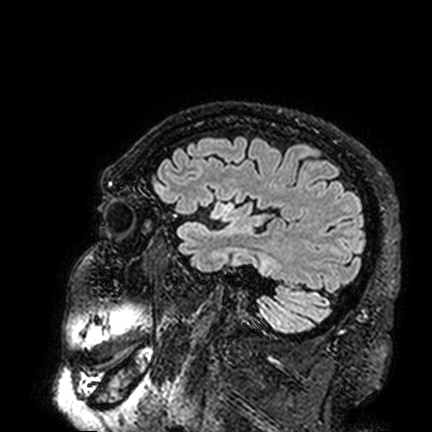
modality = 3 Tesla brain MRI; series = FLAIR VISTA; study = ring-enhancing brain masses.